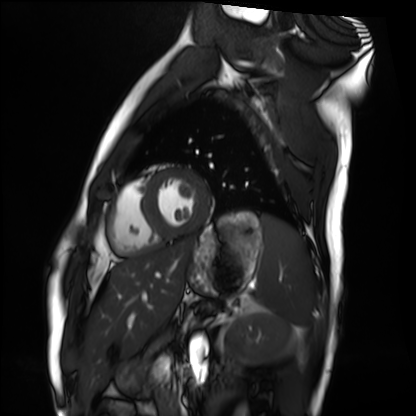
Cardiac MRI.
Subject group: healthy volunteer.